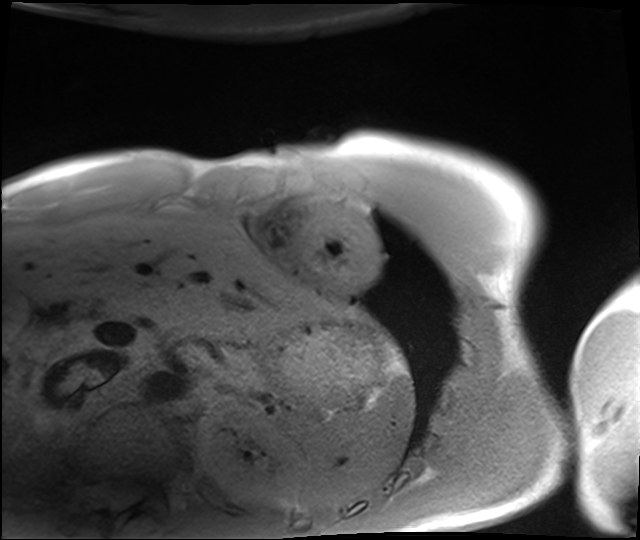
| field | value |
|---|---|
| modality | cardiac MRI |
| subject group | healthy volunteer |